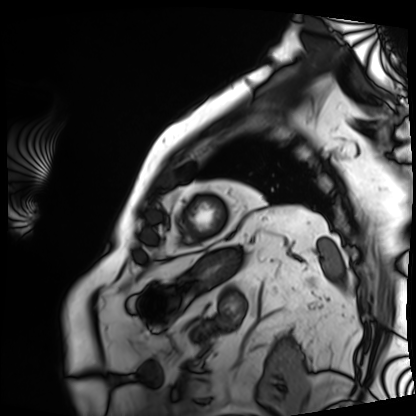
- modality · cardiac MRI
- subject group · patient